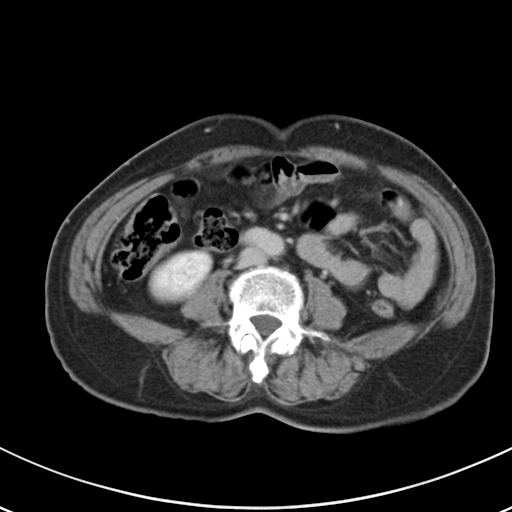
modality:
  type: multiphase abdominal CT
  region: liver
  phase: delayed
patient:
  sex: female
  age: 61